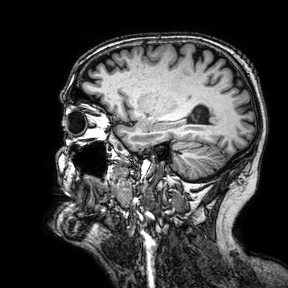
Summary: 3 Tesla brain MRI. Study: ring-enhancing brain masses.